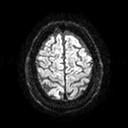
{
  "modality": {
    "type": "brain MRI",
    "field_strength": "3T"
  },
  "series": "diffusion tensor imaging (medium iso)",
  "study_topic": "ring-enhancing brain masses"
}